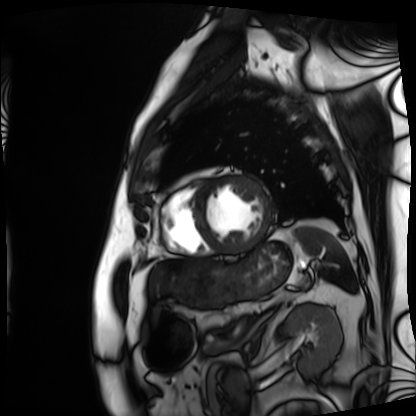
Cardiac MRI. Subject group: patient.